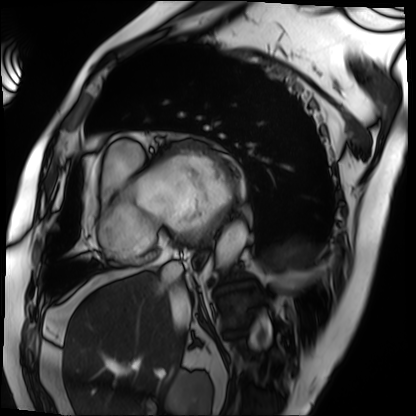
Clinical context: Cardiac MRI. Subject group: patient.